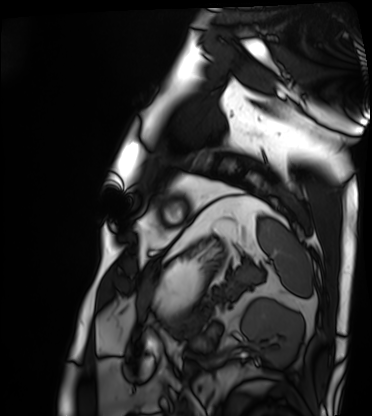
Cardiac MRI. Subject group: patient.